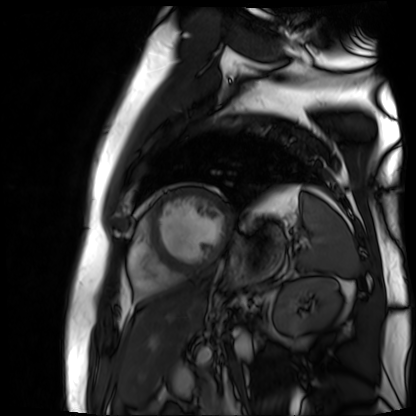
Summary: Cardiac MR image of the myocardium. Subject cohort: cardiac patient.